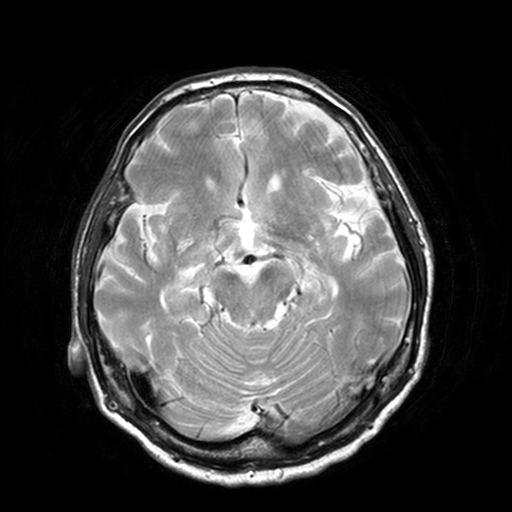
modality = 3 Tesla brain MRI | series = T2-weighted turbo spin echo, 3 mm | study = ring-enhancing brain masses.